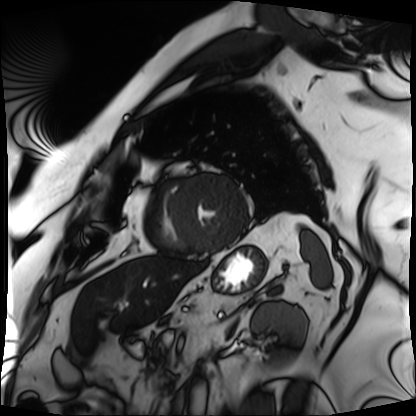
modality=cardiac MRI | subject group=patient.